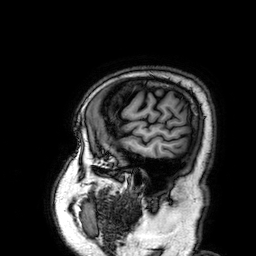
3 Tesla brain MRI. Study: ring-enhancing brain masses.